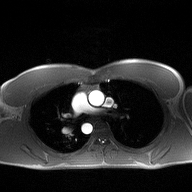
modality — 2D phase-contrast cine MRI of the ascending aorta.